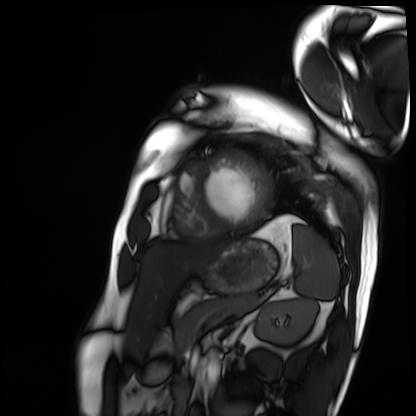
Q: What kind of scan is this?
A: Cardiac MRI.
Subject group: patient.